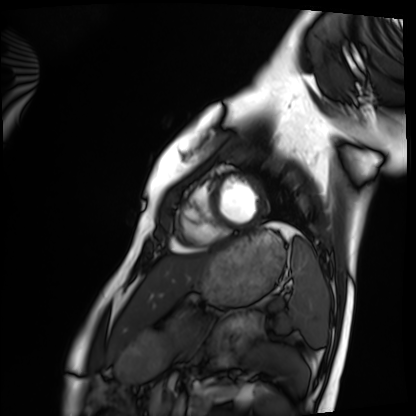
  modality: cardiac MRI
  cohort: healthy volunteer